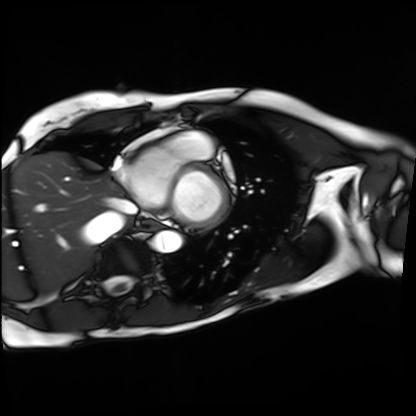
modality = cardiac MRI; subject group = patient.